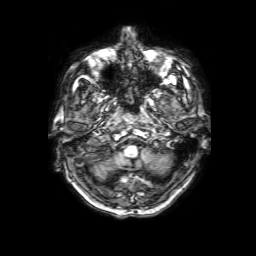
| field | value |
|---|---|
| modality | 3 Tesla brain MRI |
| series | 3D T1-weighted with SENSE |
| study | ring-enhancing brain masses |